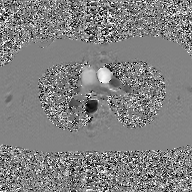
| field | value |
|---|---|
| modality | 2D phase-contrast cine MRI of the ascending aorta, GAN super-resolution reconstruction |